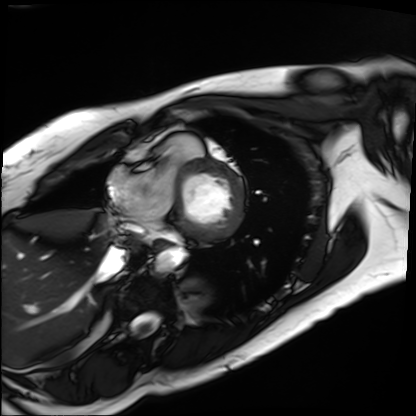
Case summary: Cardiac MRI. Subject group: patient.